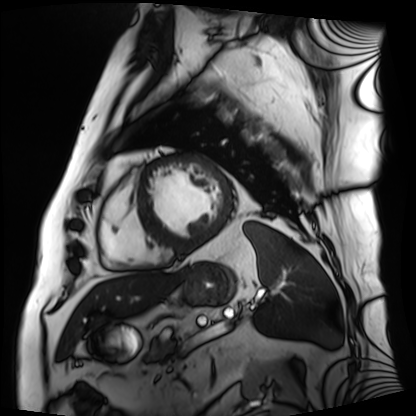
Cardiac MRI. Subject group: patient.